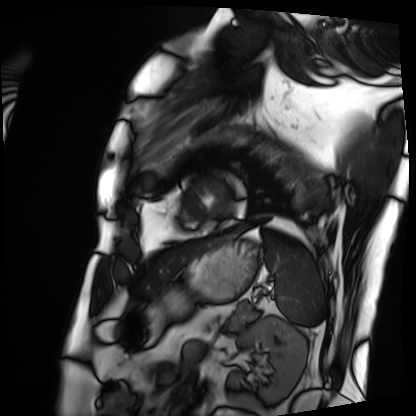
Q: What kind of scan is this?
A: Cardiac MRI.
Subject group: patient.